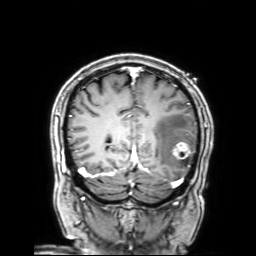
Summary:
3 Tesla brain MRI. Series: 3D T1-weighted with SENSE. Study: ring-enhancing brain masses.